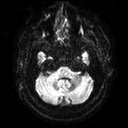
– modality · 3 Tesla brain MRI
– series · diffusion tensor imaging (medium iso)
– study · ring-enhancing brain masses